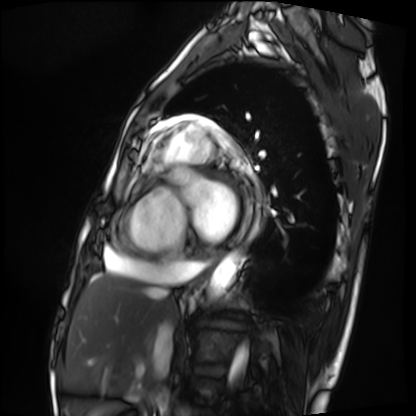
Q: What kind of scan is this?
A: Cardiac MRI.
Subject group: patient.